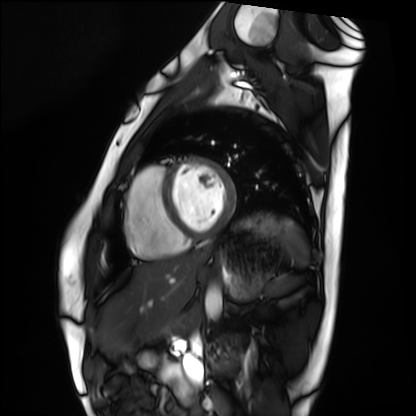
Summary: Cardiac MRI. Subject group: healthy volunteer.